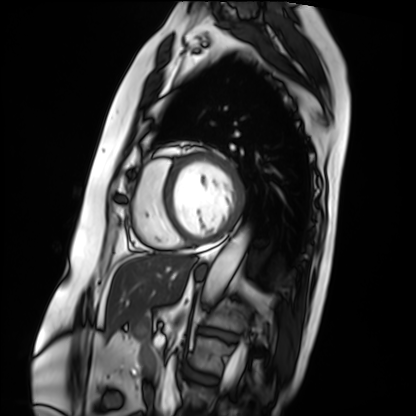
Q: What kind of scan is this?
A: Cardiac MRI.
Subject group: patient.